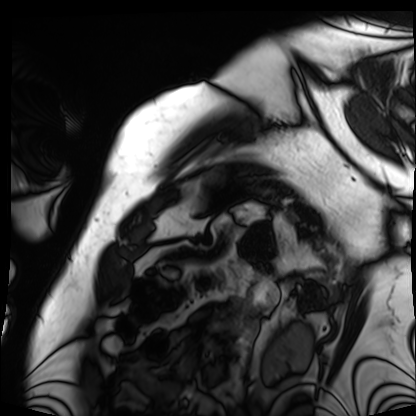
Case:
* modality: cardiac MRI
* subject group: patient